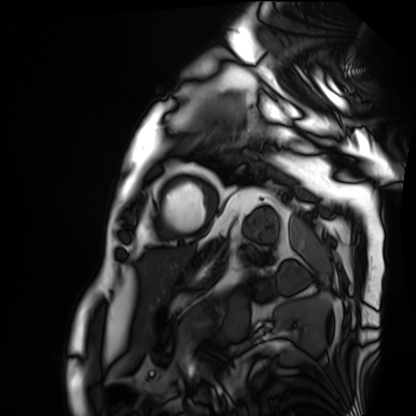
Case summary: Cardiac MRI. Subject group: patient.